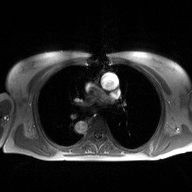
Case summary: 2D phase-contrast cine MRI of the ascending aorta, high-resolution GRAPPA acquisition.